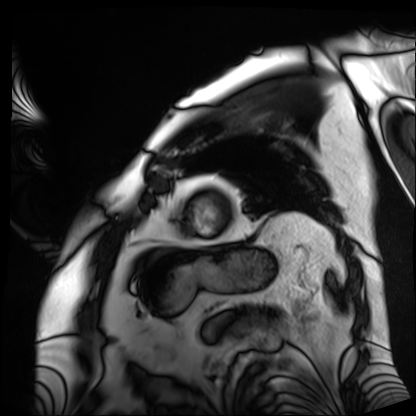
Cardiac MRI. Subject group: patient.